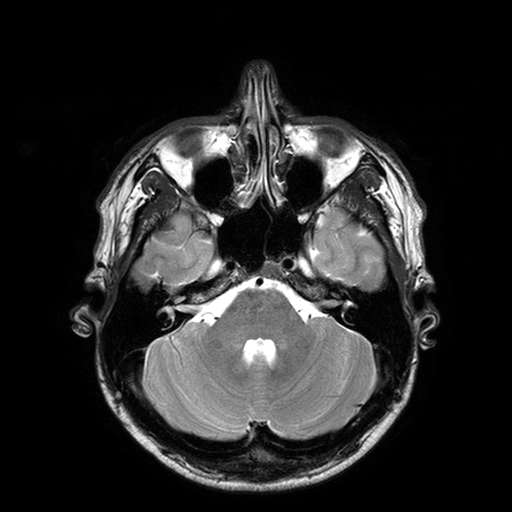
- modality — 3 Tesla brain MRI
- study — ring-enhancing brain masses